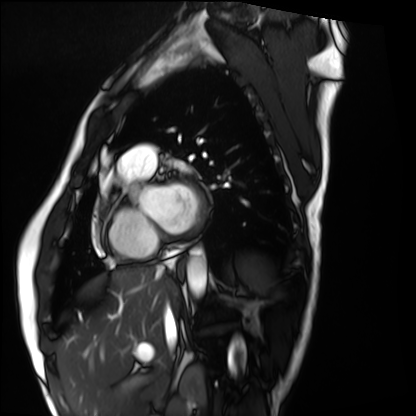
modality: cardiac MRI; subject group: healthy volunteer.